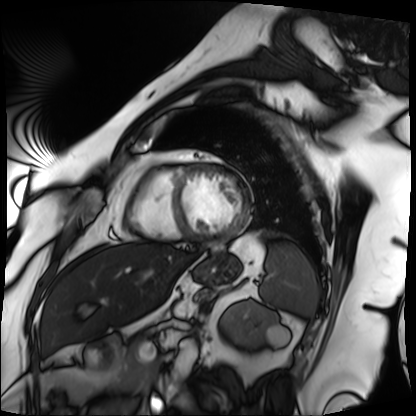
Clinical context:
Cardiac MRI. Subject group: patient.